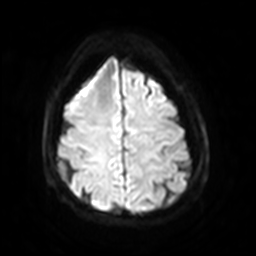
modality = 3 Tesla brain MRI | series = diffusion-weighted imaging with SENSE (WIP) | study = ring-enhancing brain masses.